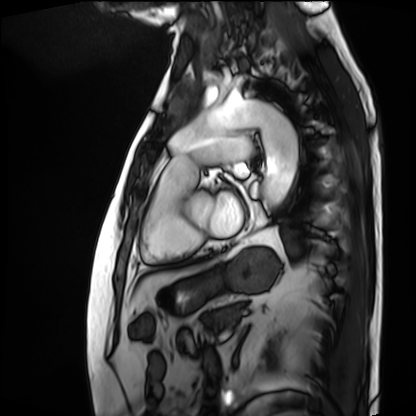
Cardiac MRI.
Subject group: patient.